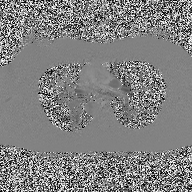
2D phase-contrast cine MRI of the ascending aorta, high-resolution GRAPPA acquisition.